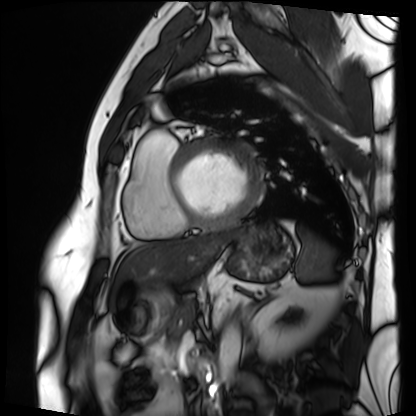
Cardiac MRI. Subject group: patient.